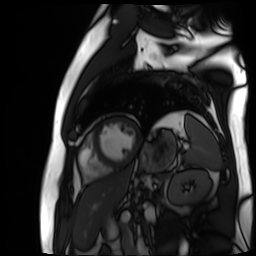
Cardiac MR image of the myocardium.
Subject cohort: cardiac patient.